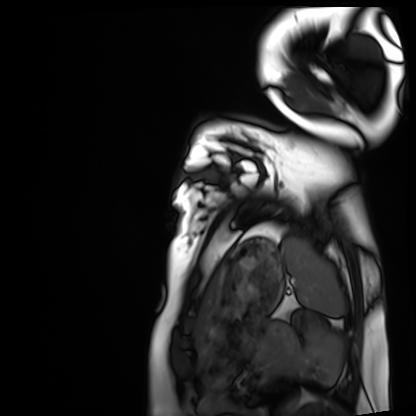
{
  "modality": "cardiac MRI",
  "cohort": "healthy volunteer"
}